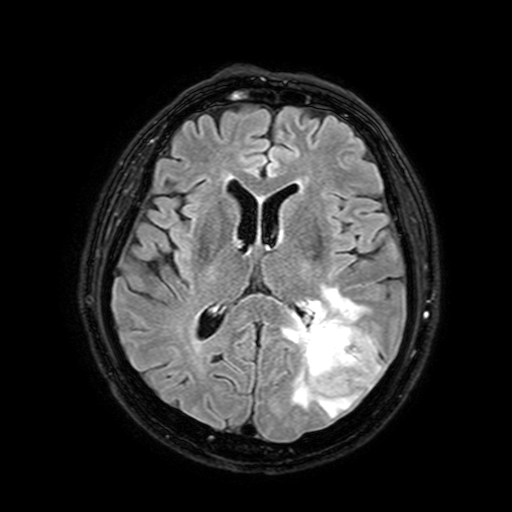
modality = 3 Tesla brain MRI
series = FLAIR with SPAIR, 3 mm
study = ring-enhancing brain masses